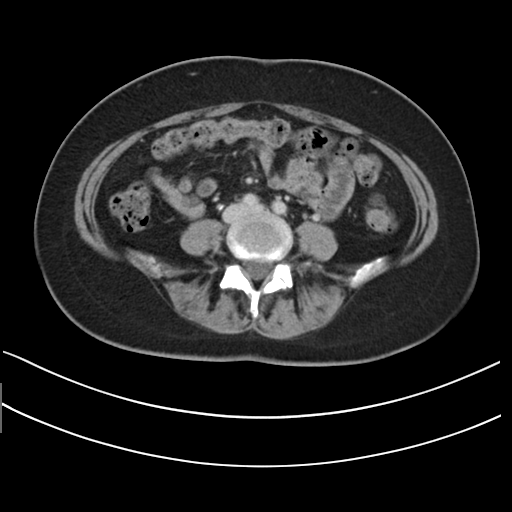
{
  "modality": {
    "type": "multiphase abdominal CT",
    "region": "liver",
    "phase": "delayed"
  },
  "patient": {
    "sex": "female",
    "age": 41
  }
}